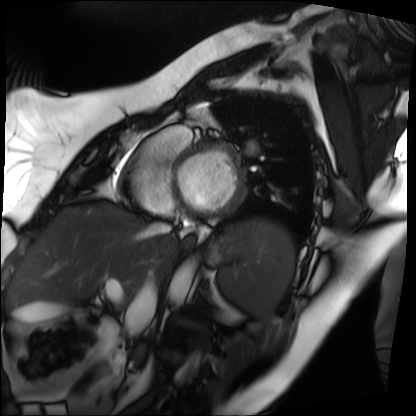
Case summary:
Cardiac MRI. Subject group: patient.